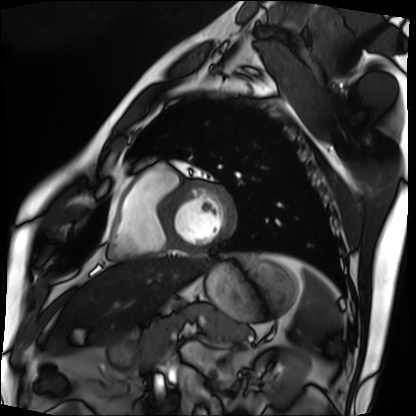
modality = cardiac MRI | subject group = patient.